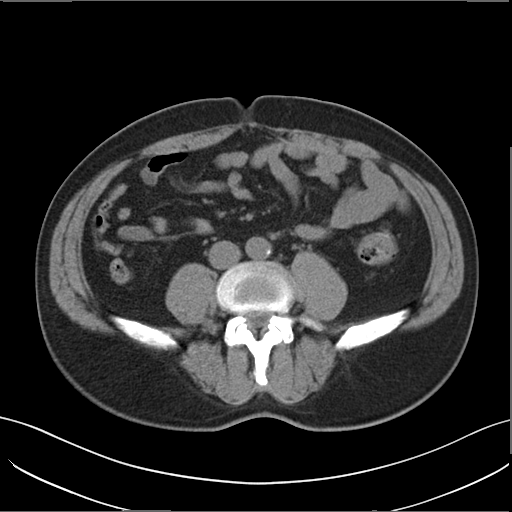
Multiphase abdominal CT, liver, non-contrast phase. Patient: male, age 51. History: prior chemotherapy.